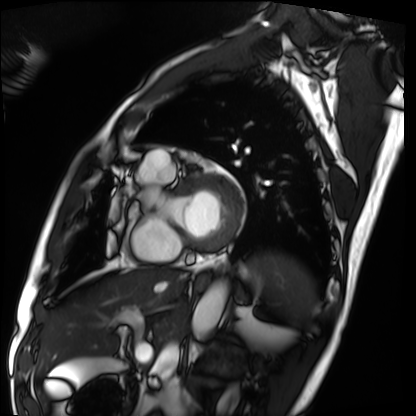
modality: cardiac MRI
cohort: patient